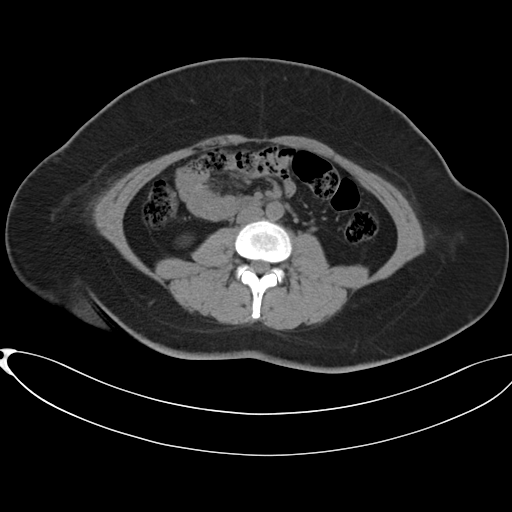
{"modality": {"type": "multiphase abdominal CT", "region": "liver", "phase": "non-contrast"}, "patient": {"sex": "female", "age": 37}, "history": ["prior chemotherapy"]}